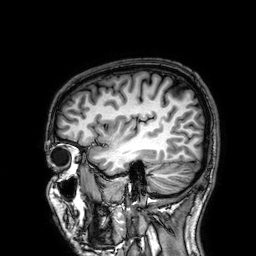
Clinical context:
3 Tesla brain MRI. Series: 3D T1-weighted. Study: ring-enhancing brain masses.